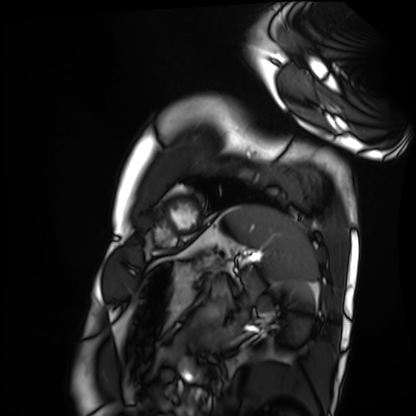
Q: What kind of scan is this?
A: Cardiac MRI.
Subject group: healthy volunteer.